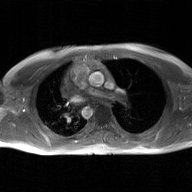
- modality — 2D phase-contrast cine MRI of the ascending aorta, GAN super-resolution reconstruction